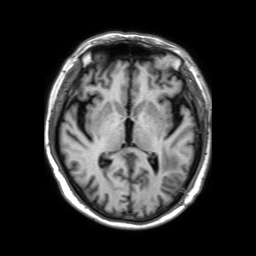
modality=3 Tesla brain MRI
series=3D T1-weighted TFE with SENSE
study=ring-enhancing brain masses